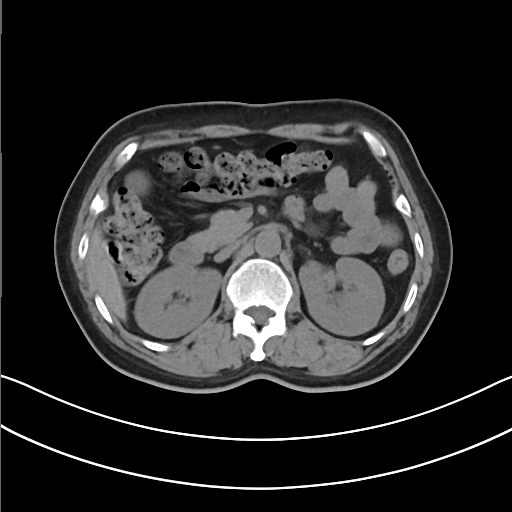
Multiphase abdominal CT, liver, non-contrast phase.
Patient: female, age 50.